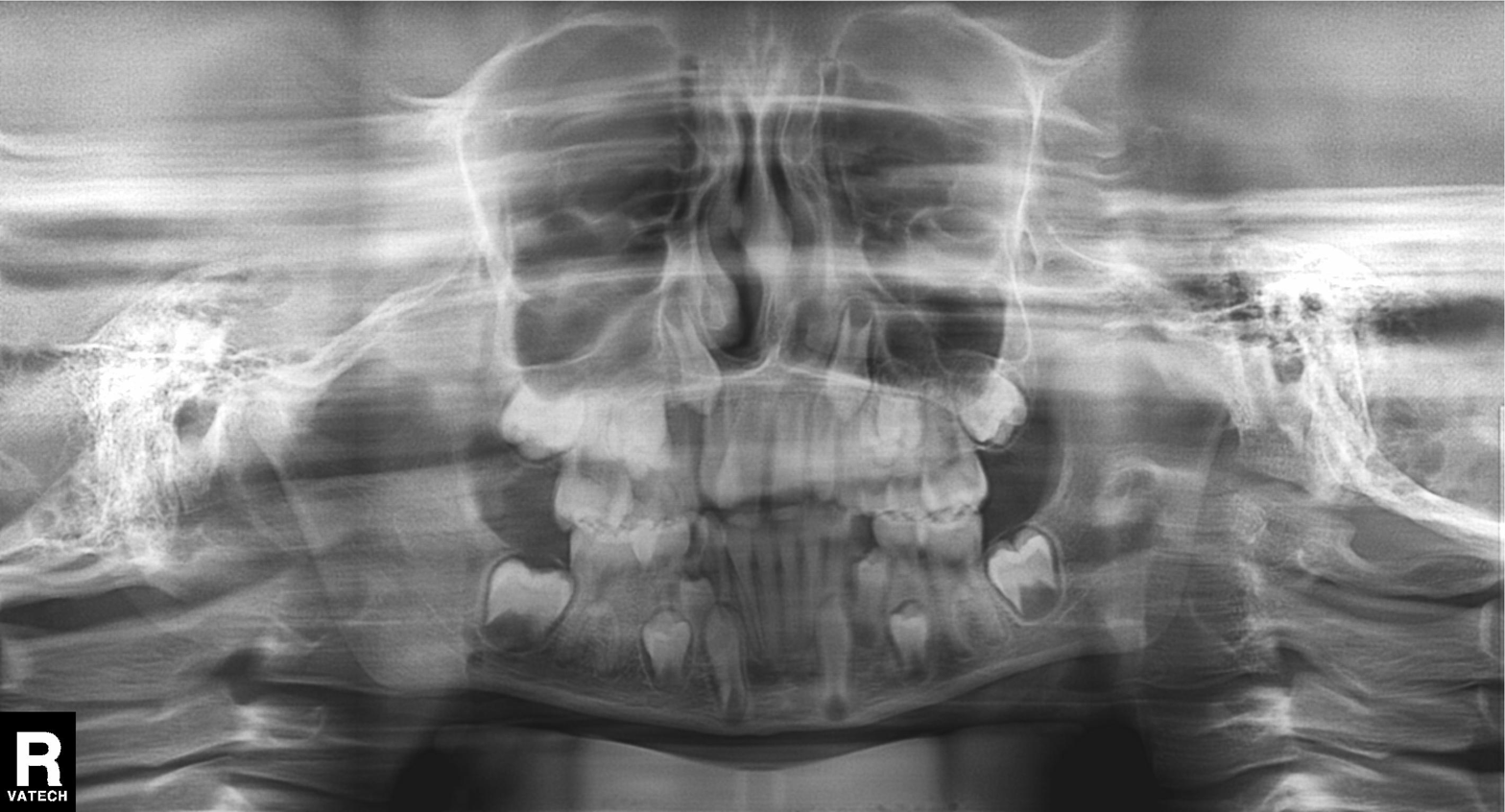
{
  "modality": "panoramic dental radiograph (orthopantomogram)",
  "finding": "tooth impaction"
}